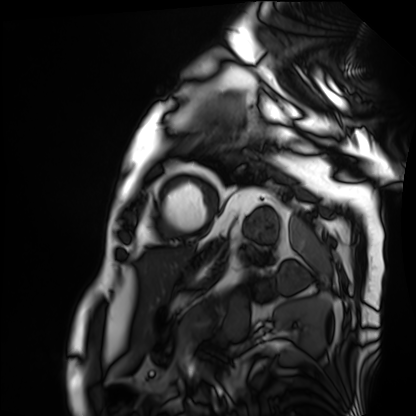
Clinical context: Cardiac MRI. Subject group: patient.